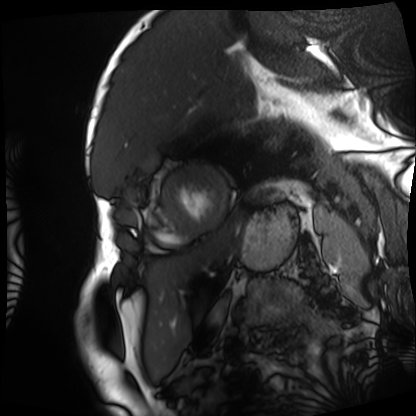
Cardiac MRI.
Subject group: patient.